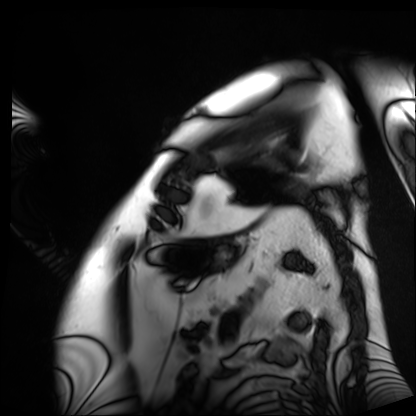
Q: What kind of scan is this?
A: Cardiac MRI.
Subject group: patient.